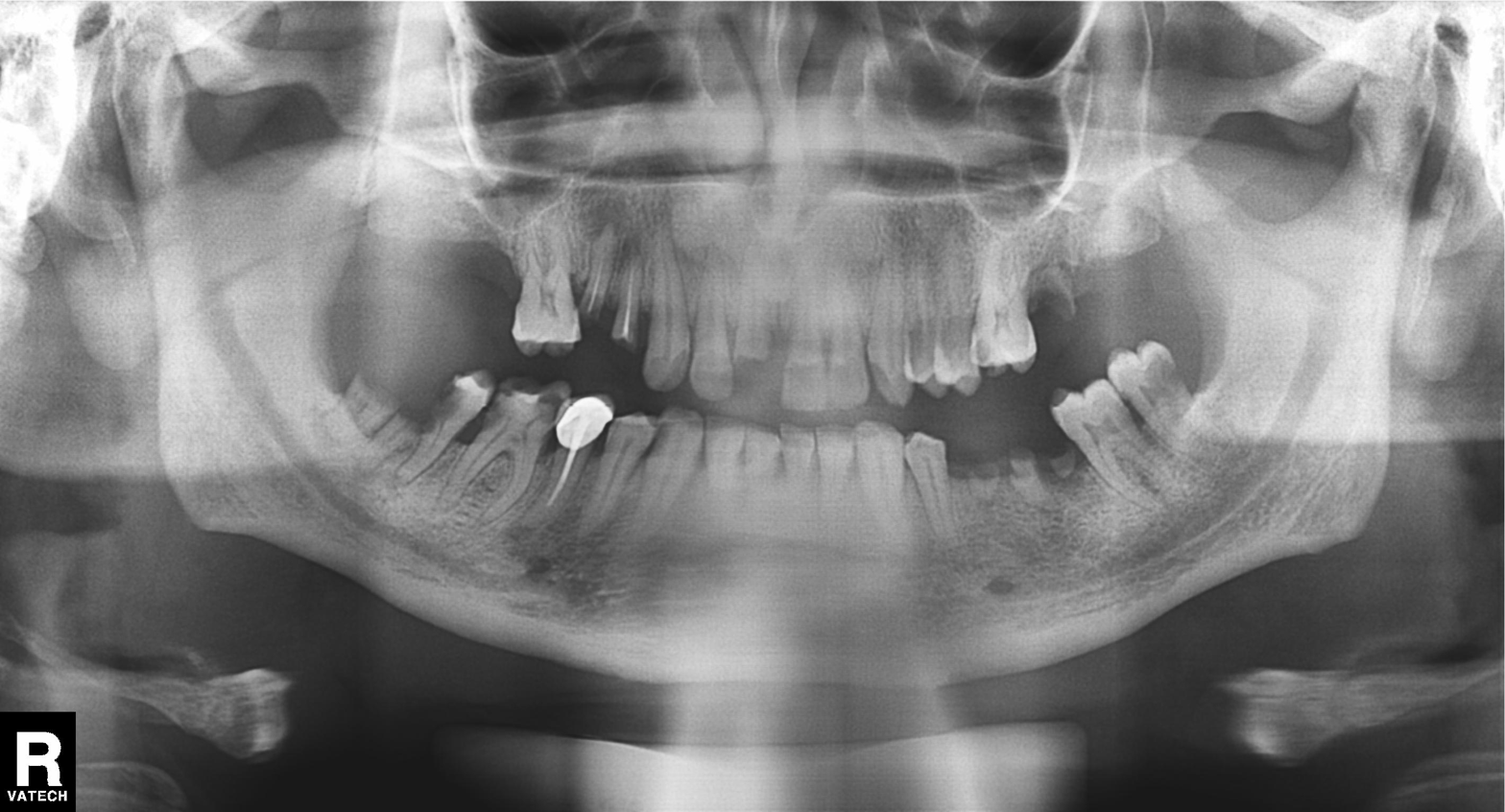
  modality: panoramic dental radiograph (orthopantomogram)
  finding: tooth impaction